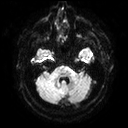
Case summary:
3 Tesla brain MRI. Series: diffusion tensor imaging (medium iso). Study: ring-enhancing brain masses.